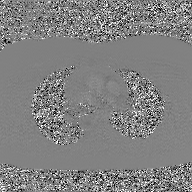
2D phase-contrast cine MRI of the ascending aorta, GAN super-resolution reconstruction.